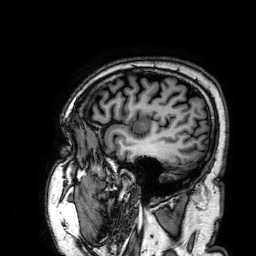
3 Tesla brain MRI. Series: 3D T1-weighted. Study: ring-enhancing brain masses.